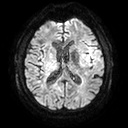
Clinical context: 3 Tesla brain MRI. Series: diffusion tensor imaging (medium iso). Study: ring-enhancing brain masses.